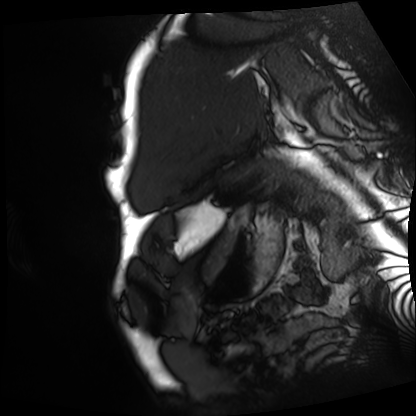
Cardiac MRI. Subject group: patient.